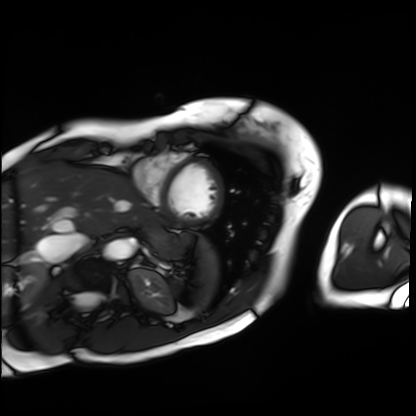
Cardiac MRI.
Subject group: patient.